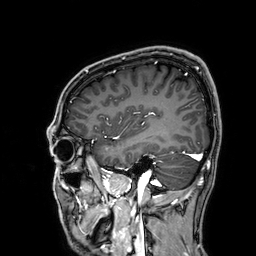
modality = 3 Tesla brain MRI; series = 3D T1-weighted; study = ring-enhancing brain masses.